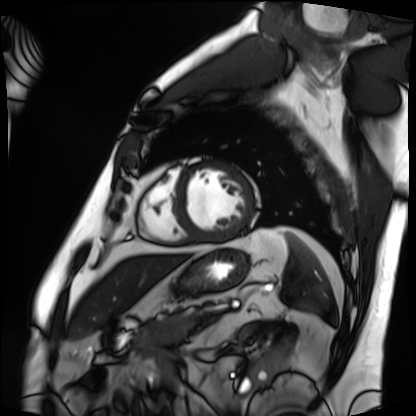
modality: cardiac MRI | subject group: patient.